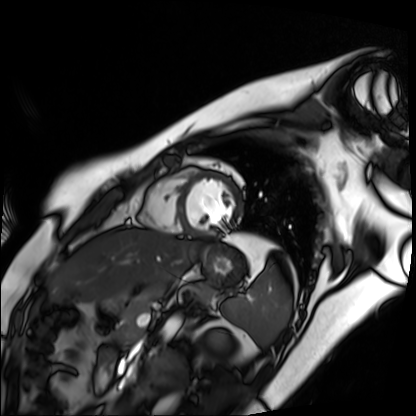
Cardiac MR image of the myocardium. Subject cohort: healthy volunteer.